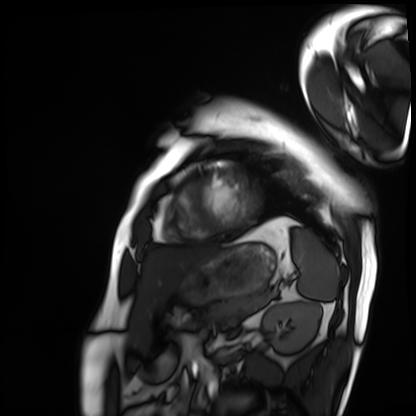
Q: What kind of scan is this?
A: Cardiac MRI.
Subject group: patient.